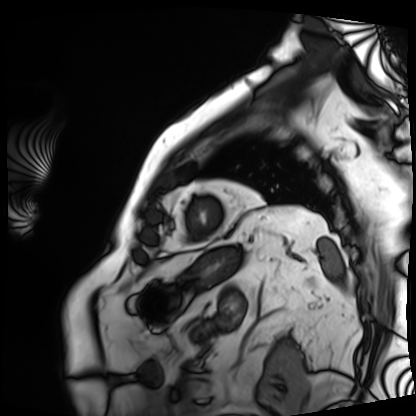
Cardiac MRI. Subject group: patient.